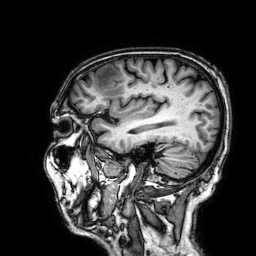
Q: What kind of scan is this?
A: 3 Tesla brain MRI.
Q: Series?
A: 3D T1-weighted.
Study: ring-enhancing brain masses.